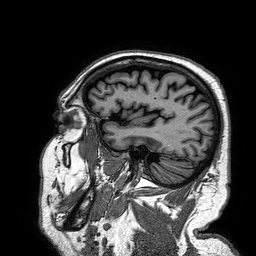
3 Tesla brain MRI.
Series: 3D T1-weighted turbo field echo.
Study: ring-enhancing brain masses.